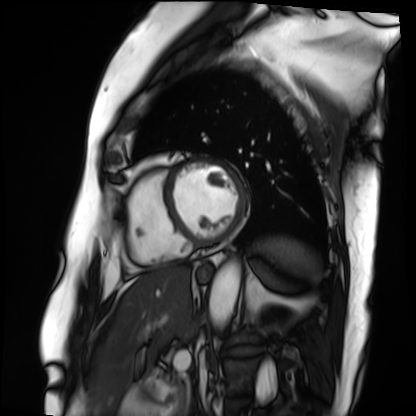
Case:
- modality · cardiac MRI
- subject group · patient